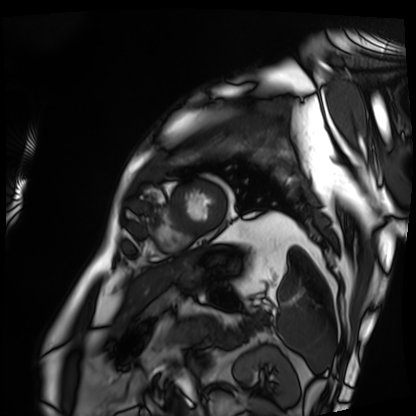
Summary: Cardiac MRI. Subject group: patient.